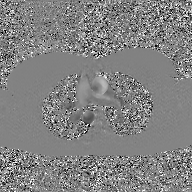
Q: What kind of scan is this?
A: 2D phase-contrast cine MRI of the ascending aorta, GAN super-resolution reconstruction.